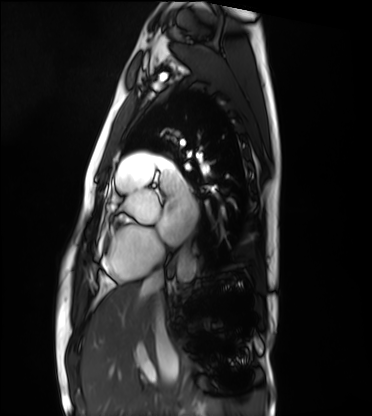
{
  "modality": "cardiac MRI",
  "cohort": "healthy volunteer"
}